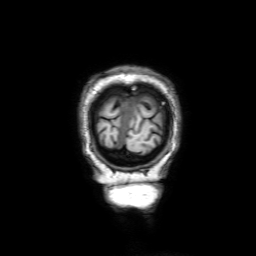
<record>
  <modality>
    <type>brain MRI</type>
    <field_strength>3T</field_strength>
  </modality>
  <series>3D T1-weighted with SENSE</series>
  <study_topic>ring-enhancing brain masses</study_topic>
</record>